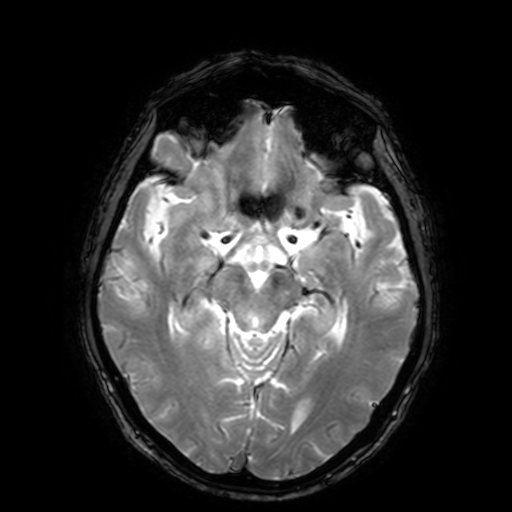
3 Tesla brain MRI.
Series: T2-weighted fast field echo with SENSE.
Study: ring-enhancing brain masses.